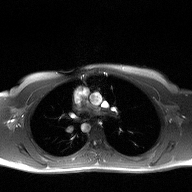
modality: 2D phase-contrast cine MRI of the ascending aorta